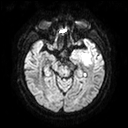
Summary: 3 Tesla brain MRI. Series: diffusion tensor imaging (medium iso). Study: ring-enhancing brain masses.